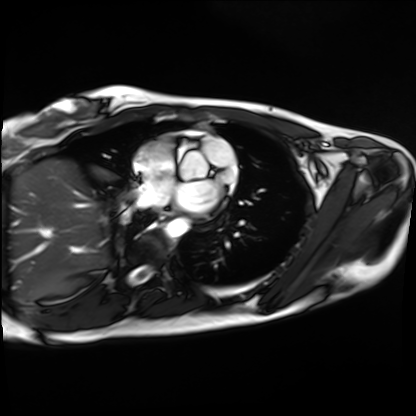
| field | value |
|---|---|
| modality | cardiac MRI |
| subject group | healthy volunteer |